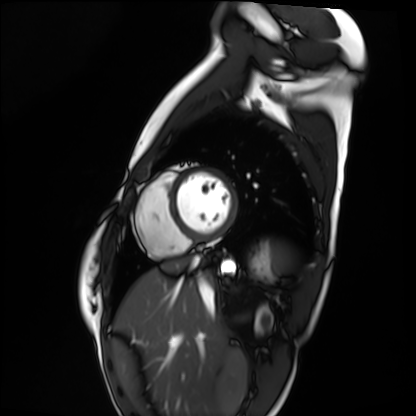
  modality: cardiac MRI
  cohort: healthy volunteer